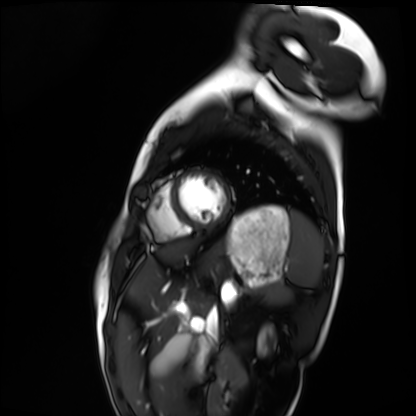
modality: cardiac MRI
cohort: healthy volunteer